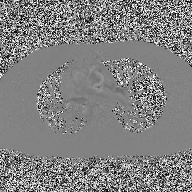
– modality · 2D phase-contrast cine MRI of the ascending aorta